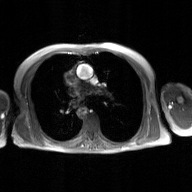
Case summary: 2D phase-contrast cine MRI of the ascending aorta, GAN super-resolution reconstruction.